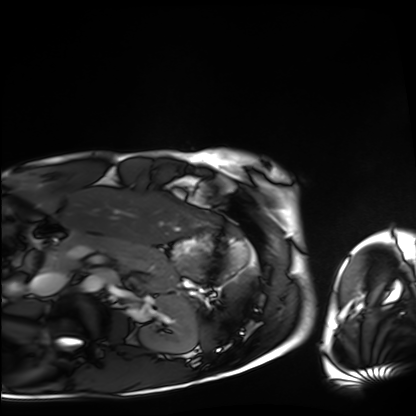
Summary: Cardiac MRI. Subject group: healthy volunteer.